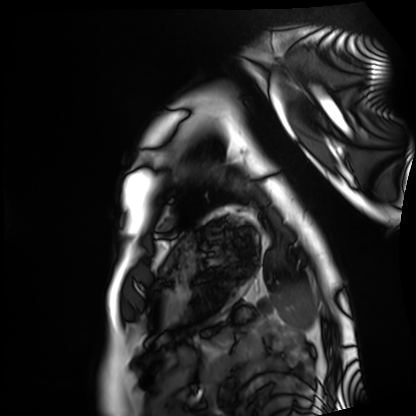
Case summary:
Cardiac MRI. Subject group: healthy volunteer.